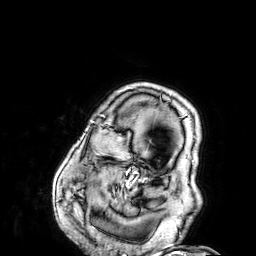
- modality — 3 Tesla brain MRI
- series — 3D T1-weighted
- study — ring-enhancing brain masses